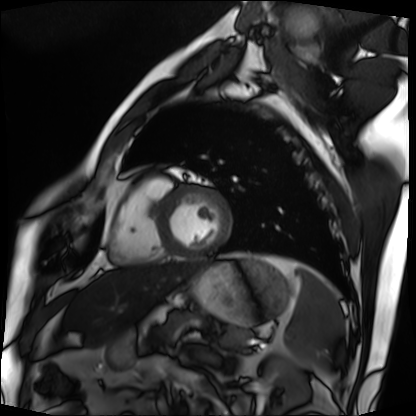
Cardiac MRI.
Subject group: patient.